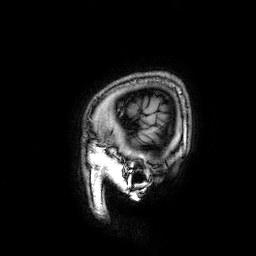
* modality · 3 Tesla brain MRI
* series · 3D T1-weighted
* study · ring-enhancing brain masses